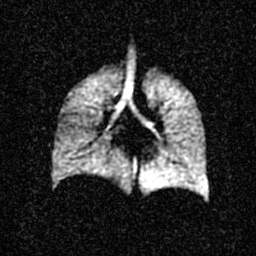
Hyperpolarized 129Xe ventilation MRI of the lungs. SNR level 3 of 8 (the deposit holds this scan as its native image and as seven SNR-degraded versions).